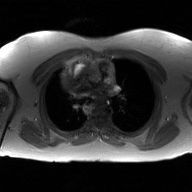
Summary: 2D phase-contrast cine MRI of the ascending aorta, GAN super-resolution reconstruction.